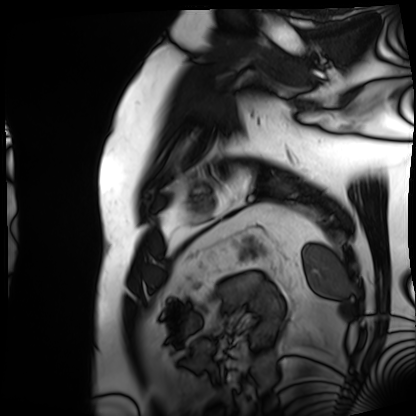
modality=cardiac MRI
subject group=patient